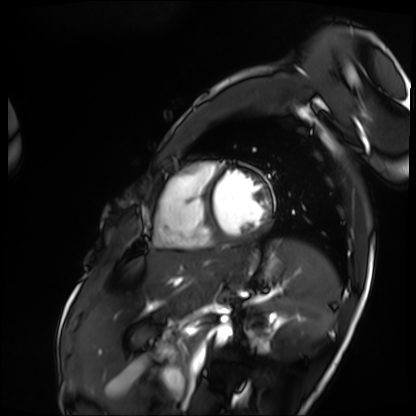
{"modality": "cardiac MRI", "cohort": "patient"}